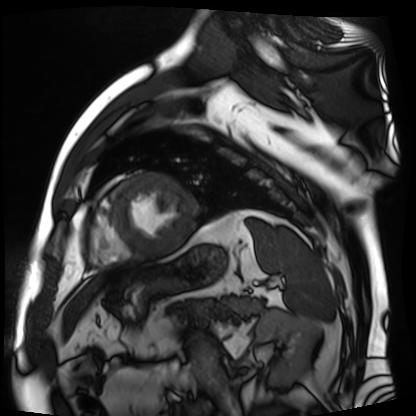
| field | value |
|---|---|
| modality | cardiac MR image of the myocardium |
| subject cohort | cardiac patient |